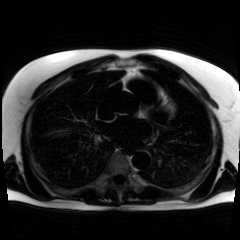
modality: chemical-shift-encoded cardiac MRI.